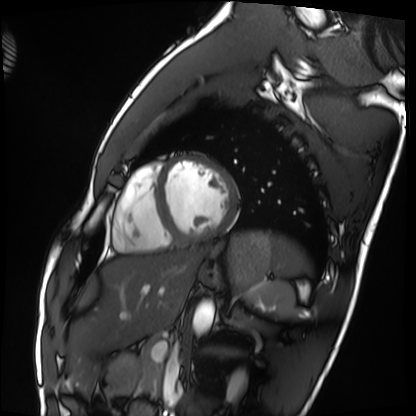
modality = cardiac MRI | subject group = healthy volunteer.